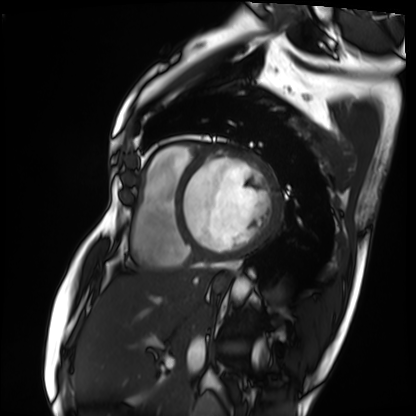
Cardiac MRI.
Subject group: patient.